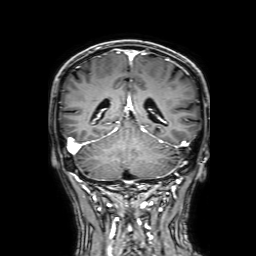
3 Tesla brain MRI. Series: 3D T1-weighted with SENSE. Study: ring-enhancing brain masses.